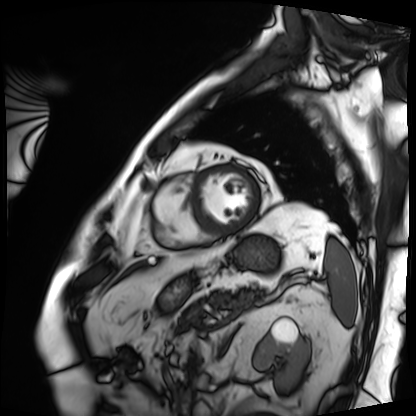
Clinical context: Cardiac MRI. Subject group: patient.